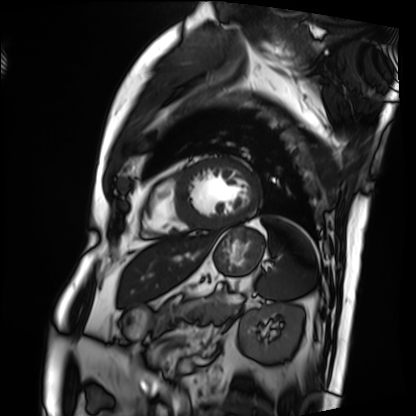
Summary: Cardiac MRI. Subject group: patient.